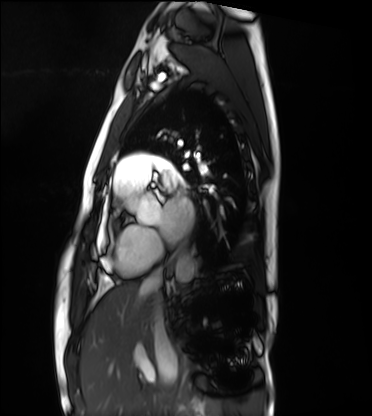
{"modality": "cardiac MRI", "cohort": "healthy volunteer"}